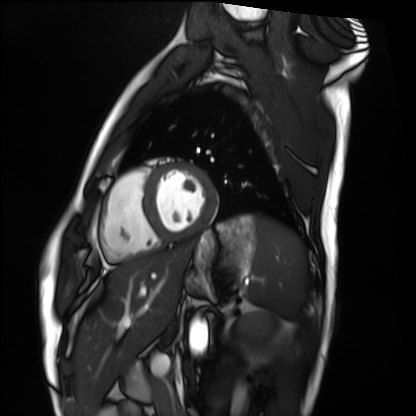
Cardiac MRI.
Subject group: healthy volunteer.